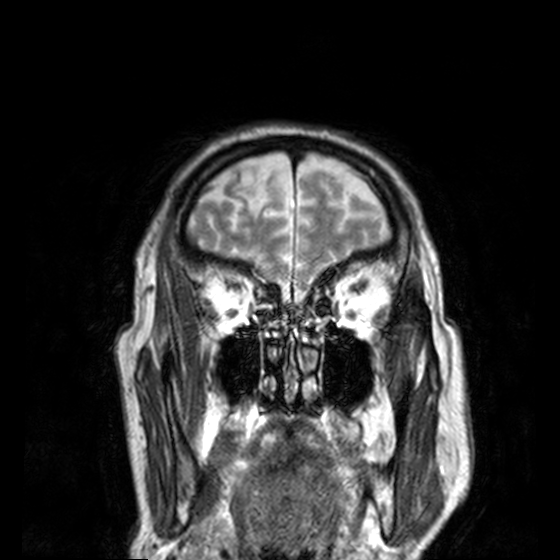
Q: What kind of scan is this?
A: 3 Tesla brain MRI.
Study: ring-enhancing brain masses.